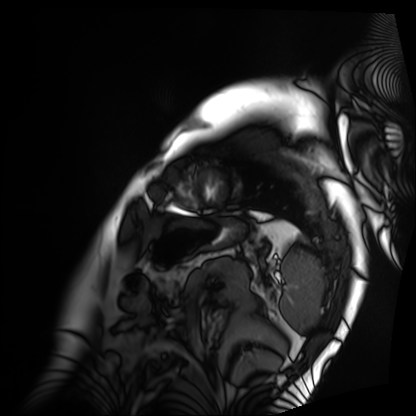
modality=cardiac MRI | subject group=patient.